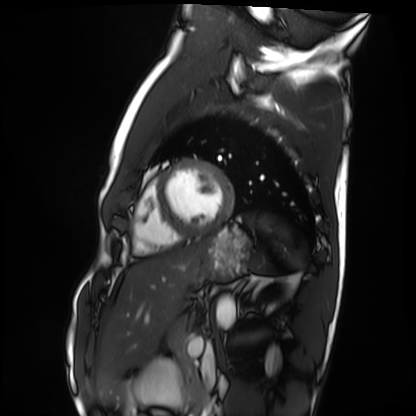
Cardiac MRI. Subject group: healthy volunteer.